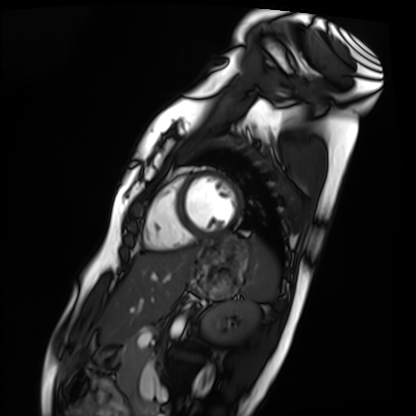
| field | value |
|---|---|
| modality | cardiac MRI |
| subject group | healthy volunteer |